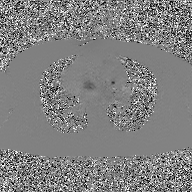
modality:
  type: 2D phase-contrast cine MRI
  region: ascending aorta
  reconstruction: GAN super-resolution reconstruction